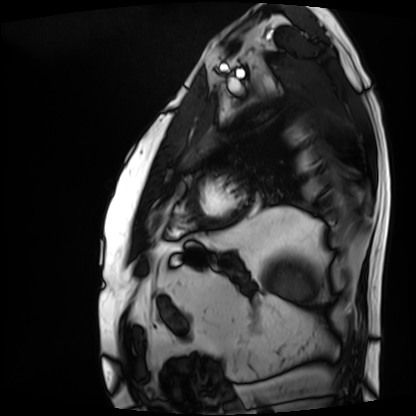
Summary:
Cardiac MRI. Subject group: patient.